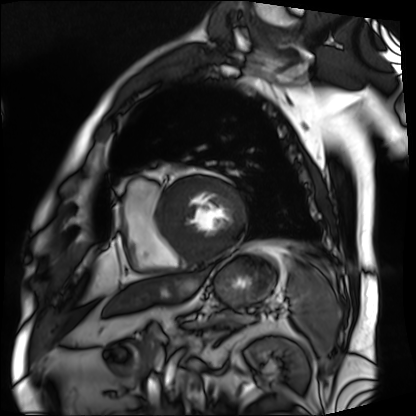
Clinical context: Cardiac MRI. Subject group: patient.